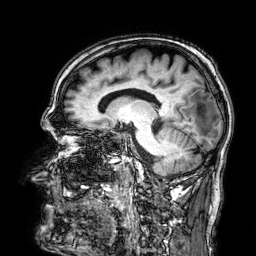
- modality · 3 Tesla brain MRI
- series · 3D T1-weighted
- study · ring-enhancing brain masses